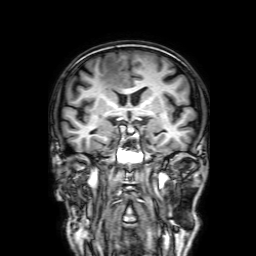
<case>
<modality>
  <type>brain MRI</type>
  <field_strength>3T</field_strength>
</modality>
<series>3D T1-weighted with SENSE</series>
<study_topic>ring-enhancing brain masses</study_topic>
</case>